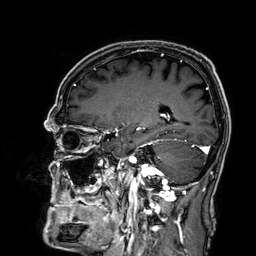
  modality:
    type: brain MRI
    field_strength: 3T
  series: 3D T1-weighted
  study_topic: ring-enhancing brain masses